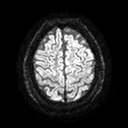
3 Tesla brain MRI.
Series: diffusion tensor imaging (medium iso).
Study: ring-enhancing brain masses.